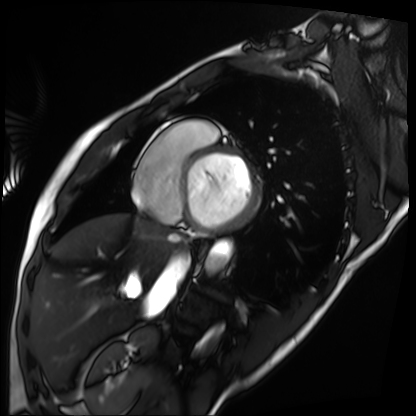
Cardiac MRI.
Subject group: patient.